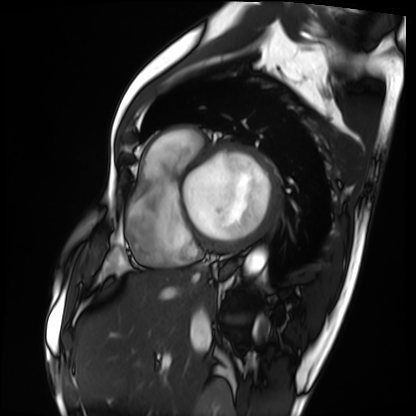
modality: cardiac MRI, subject group: patient.